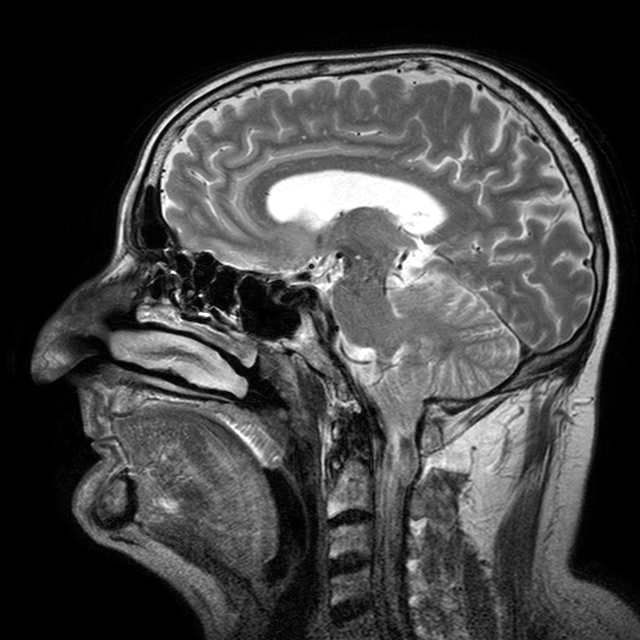
<record>
  <modality>
    <type>brain MRI</type>
    <field_strength>3T</field_strength>
  </modality>
  <series>T2-weighted turbo spin echo with CLEAR</series>
  <study_topic>ring-enhancing brain masses</study_topic>
</record>